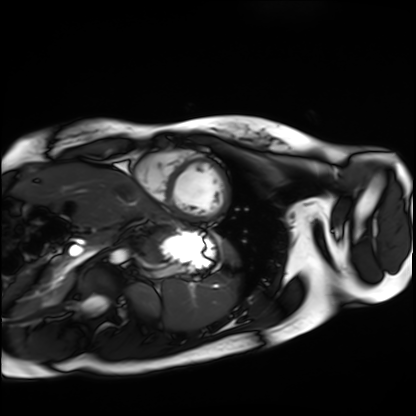
<study>
<modality>cardiac MRI</modality>
<cohort>healthy volunteer</cohort>
</study>